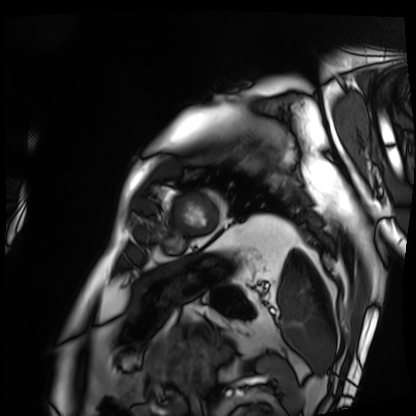
modality: cardiac MRI
cohort: patient